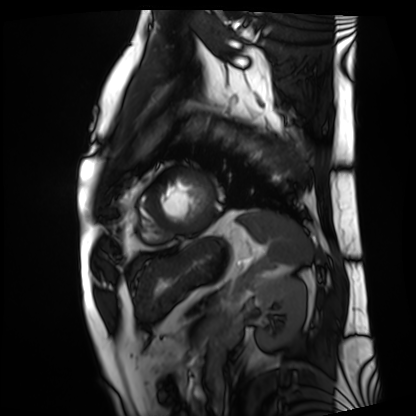
Clinical context: Cardiac MRI. Subject group: patient.